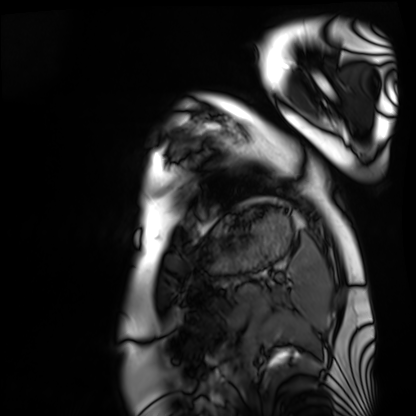
<record>
  <modality>cardiac MRI</modality>
  <cohort>healthy volunteer</cohort>
</record>